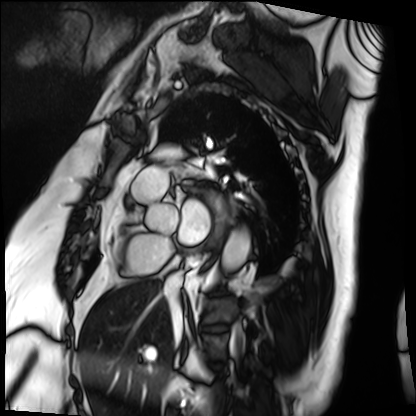
Case summary:
Cardiac MRI. Subject group: patient.